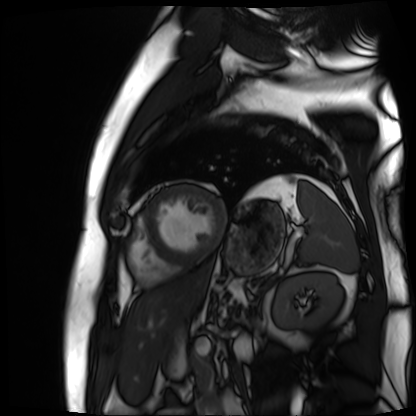
Clinical context: Cardiac MR image of the myocardium. Subject cohort: cardiac patient.